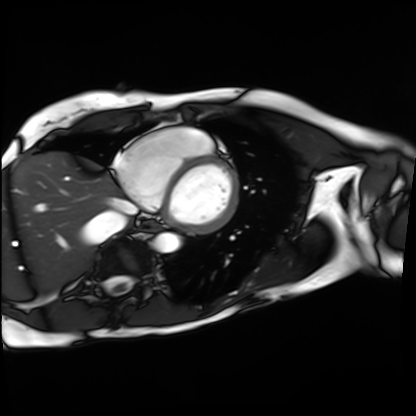
Cardiac MRI. Subject group: patient.